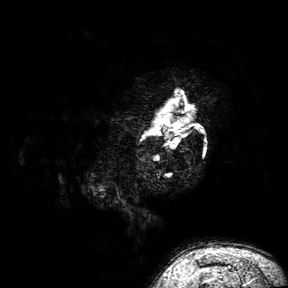
Clinical context:
3 Tesla brain MRI. Series: 3D T1-weighted turbo field echo with SENSE. Study: ring-enhancing brain masses.